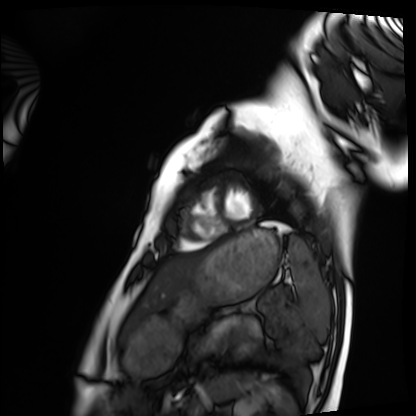
Case summary: Cardiac MRI. Subject group: healthy volunteer.